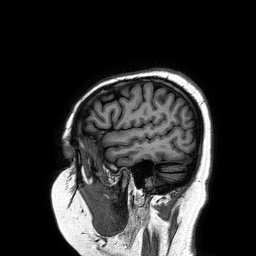
3 Tesla brain MRI.
Series: 3D T1-weighted turbo field echo.
Study: ring-enhancing brain masses.